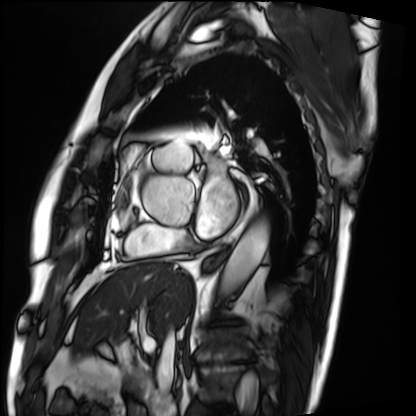
- modality · cardiac MRI
- subject group · patient